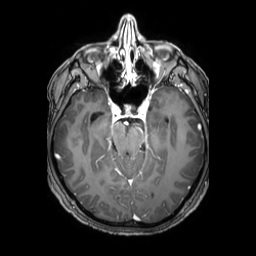
3 Tesla brain MRI. Series: 3D T1-weighted TFE with SENSE. Study: ring-enhancing brain masses.